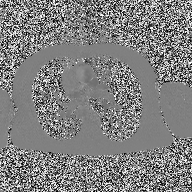
Clinical context: 2D phase-contrast cine MRI of the ascending aorta, high-resolution GRAPPA acquisition.